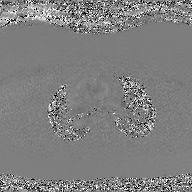
Summary:
2D phase-contrast cine MRI of the ascending aorta, GAN super-resolution reconstruction.